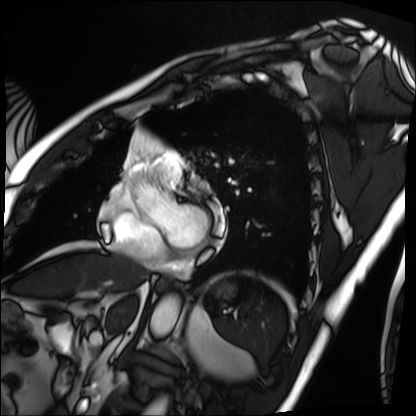
modality: cardiac MRI, subject group: patient.